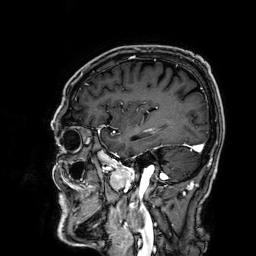
3 Tesla brain MRI. Series: 3D T1-weighted. Study: ring-enhancing brain masses.